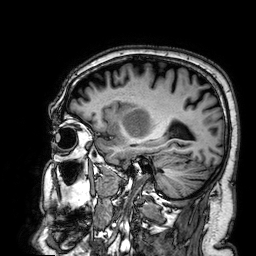
Clinical context: 3 Tesla brain MRI. Series: 3D T1-weighted. Study: ring-enhancing brain masses.